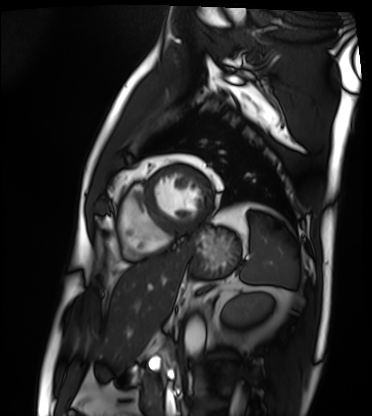
{
  "modality": "cardiac MRI",
  "cohort": "patient"
}